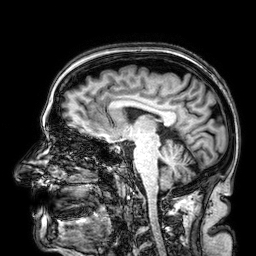
modality=3 Tesla brain MRI; series=3D T1-weighted; study=ring-enhancing brain masses.